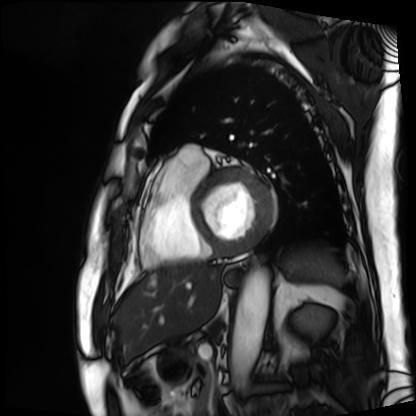
Cardiac MRI. Subject group: patient.